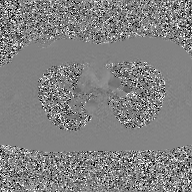
Case:
• modality: 2D phase-contrast cine MRI of the ascending aorta, GAN super-resolution reconstruction